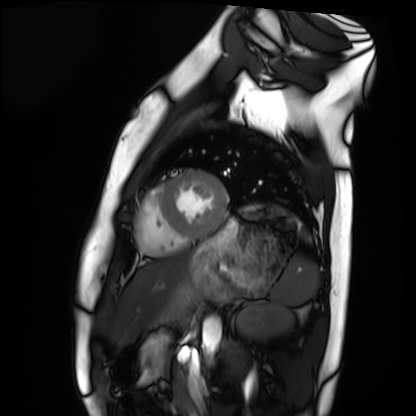
Cardiac MRI.
Subject group: healthy volunteer.